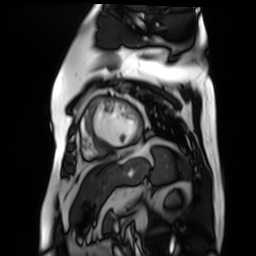
modality: cardiac MR image of the myocardium
cohort: cardiac patient